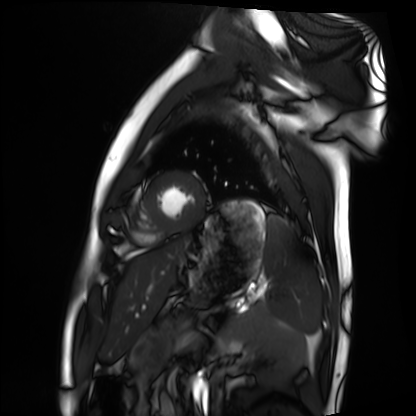
modality: cardiac MRI
subject group: healthy volunteer